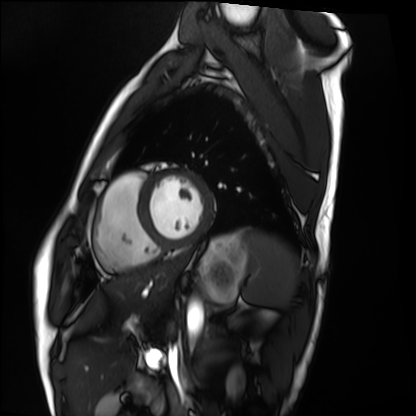
Summary: Cardiac MRI. Subject group: healthy volunteer.